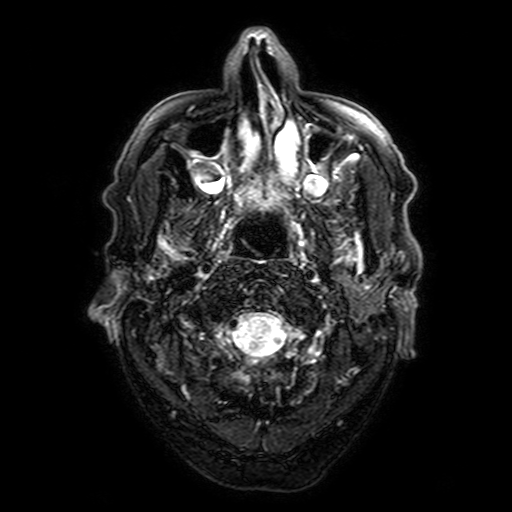
Summary: 3 Tesla brain MRI. Series: FLAIR with SPAIR, 3 mm. Study: ring-enhancing brain masses.